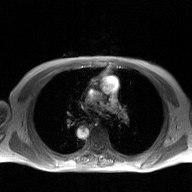
2D phase-contrast cine MRI of the ascending aorta, GAN super-resolution reconstruction.